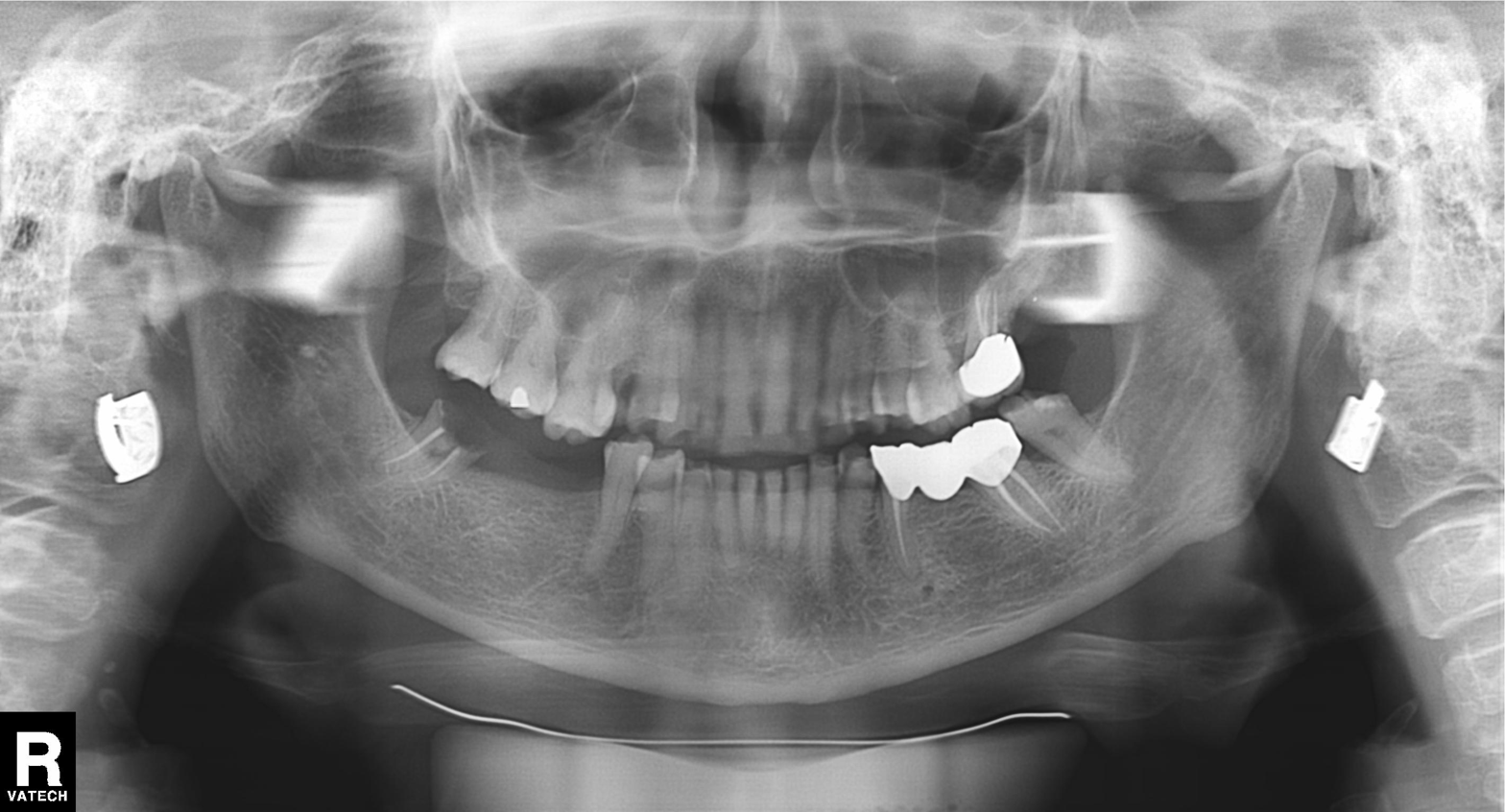
Summary: Panoramic dental radiograph (orthopantomogram).
Impression: Tooth impaction.